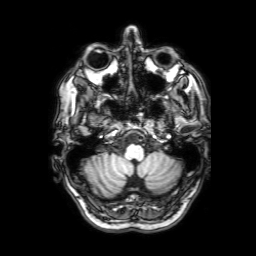
Q: What kind of scan is this?
A: 3 Tesla brain MRI.
Q: Series?
A: 3D T1-weighted with SENSE.
Study: ring-enhancing brain masses.